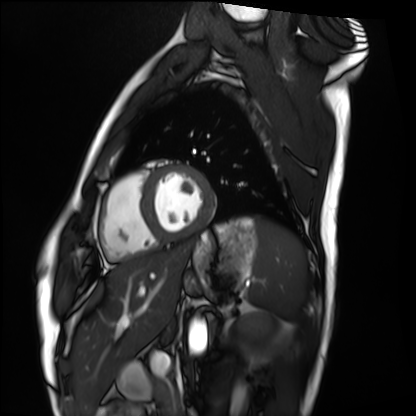
{
  "modality": "cardiac MRI",
  "cohort": "healthy volunteer"
}